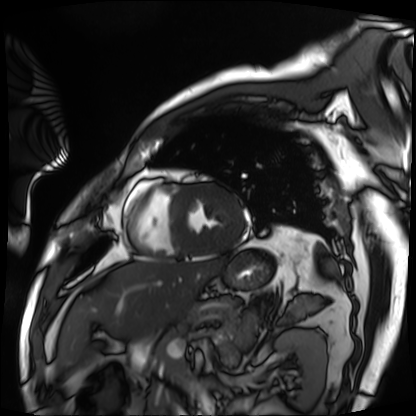
Clinical context:
Cardiac MRI. Subject group: patient.